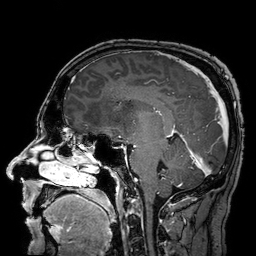
Summary:
3 Tesla brain MRI. Series: 3D T1-weighted turbo field echo with SENSE. Study: ring-enhancing brain masses.